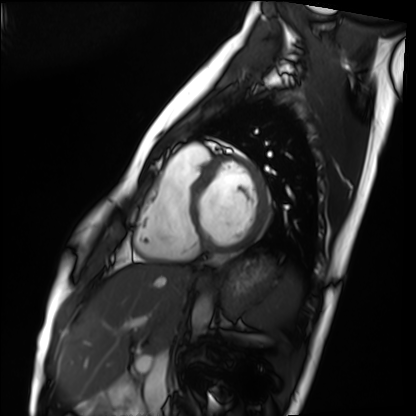
• modality: cardiac MRI
• subject group: healthy volunteer